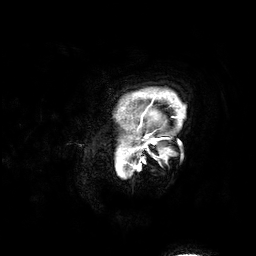
3 Tesla brain MRI. Series: 3D T1-weighted. Study: ring-enhancing brain masses.